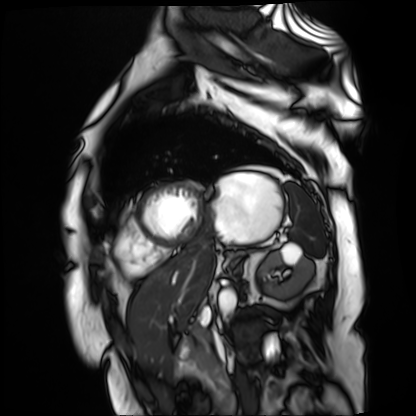
Cardiac MR image of the myocardium. Subject cohort: cardiac patient.